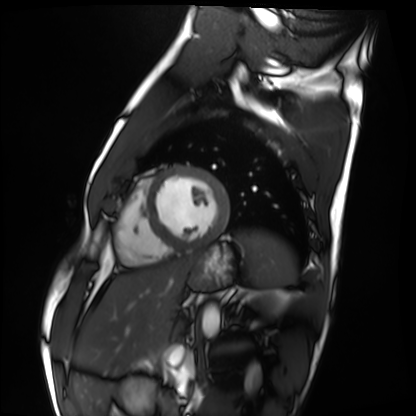
Cardiac MRI. Subject group: healthy volunteer.